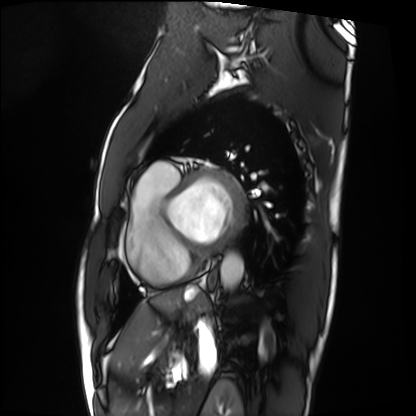
Cardiac MRI. Subject group: patient.